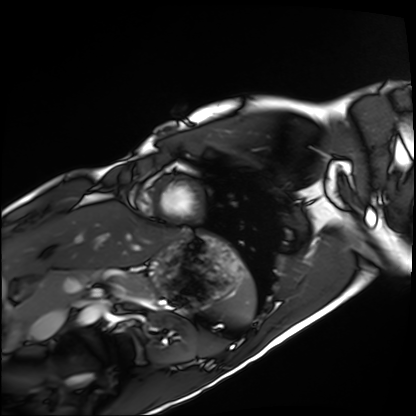
modality: cardiac MRI
cohort: healthy volunteer